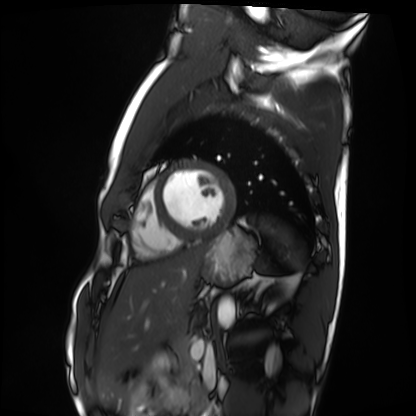
<case>
  <modality>cardiac MRI</modality>
  <cohort>healthy volunteer</cohort>
</case>